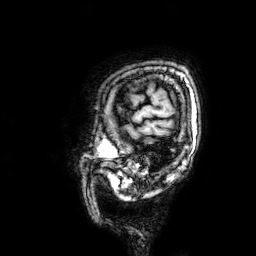
3 Tesla brain MRI.
Series: 3D T1-weighted.
Study: ring-enhancing brain masses.